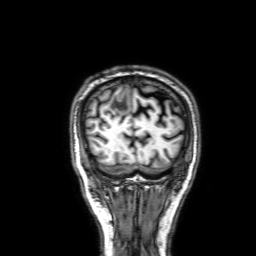
Summary:
3 Tesla brain MRI. Series: 3D T1-weighted with SENSE. Study: ring-enhancing brain masses.